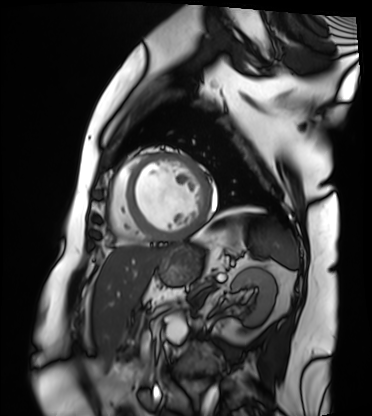
  modality: cardiac MRI
  cohort: patient